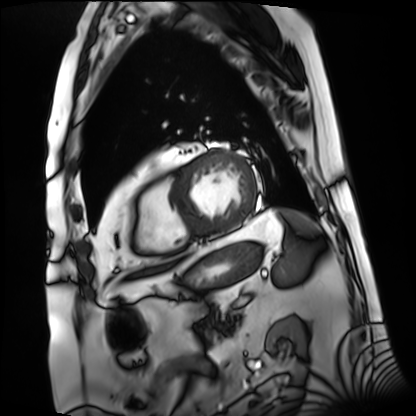
Case summary: Cardiac MRI. Subject group: patient.